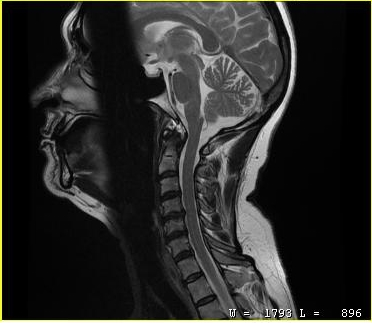
{"modality": {"type": "cervical spine MRI"}, "study_topic": "cervical spondylosis"}